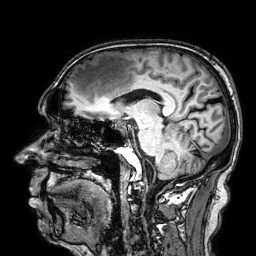
| field | value |
|---|---|
| modality | 3 Tesla brain MRI |
| study | ring-enhancing brain masses |